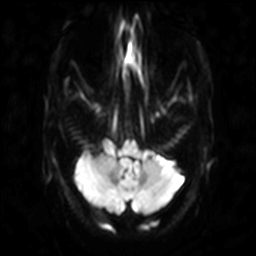
Case:
• modality: 3 Tesla brain MRI
• series: diffusion-weighted imaging
• study: ring-enhancing brain masses